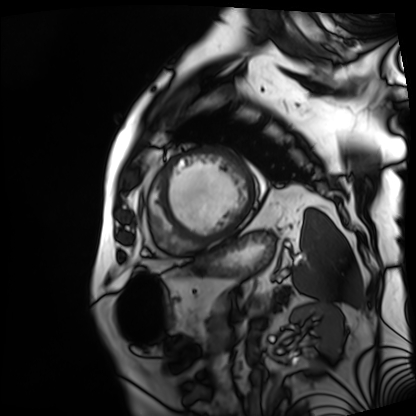
{"modality": "cardiac MRI", "cohort": "patient"}